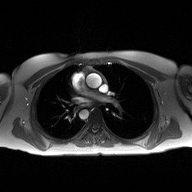
{
  "modality": {
    "type": "2D phase-contrast cine MRI",
    "region": "ascending aorta",
    "reconstruction": "high-resolution GRAPPA acquisition"
  }
}